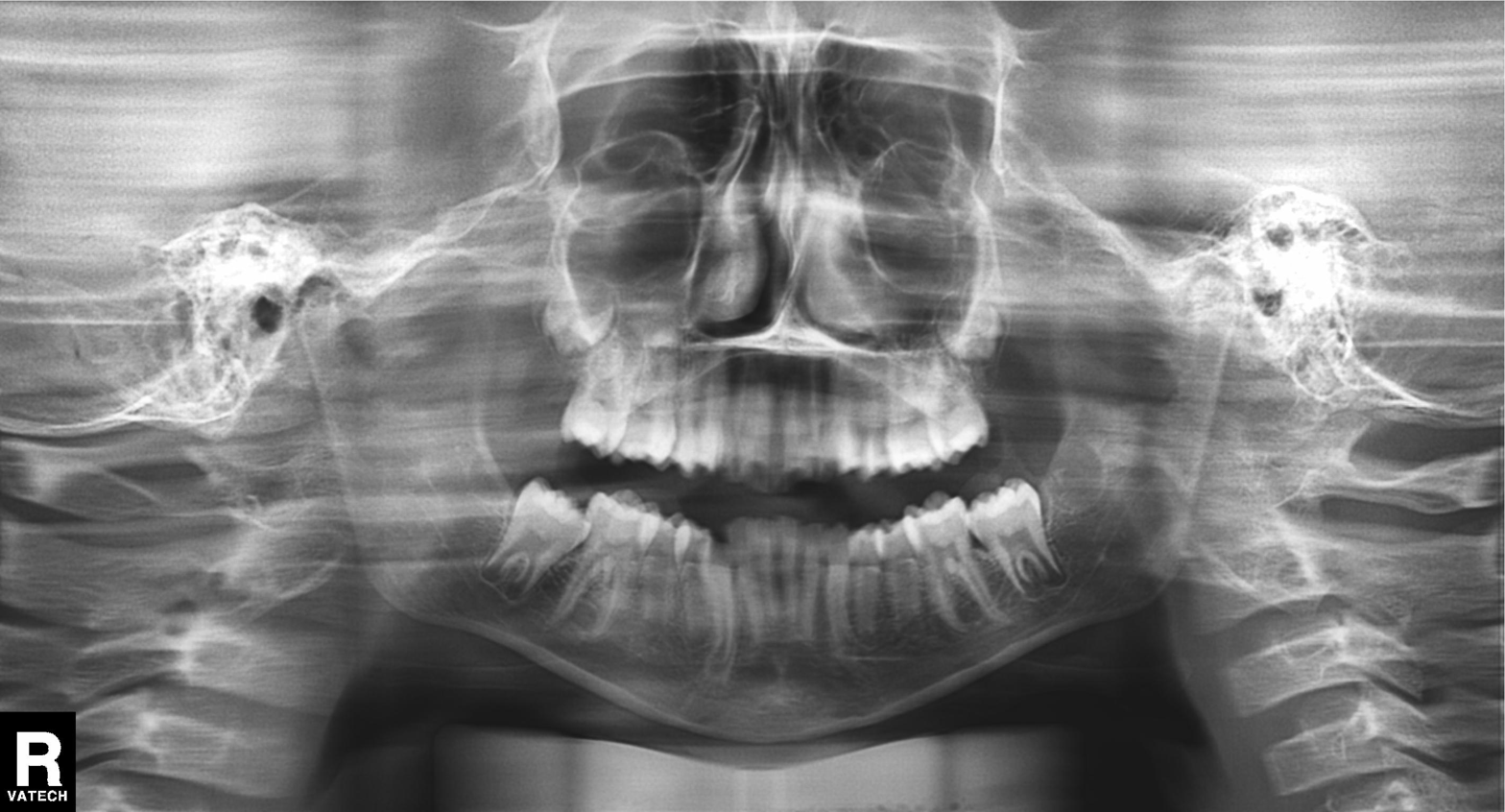
  modality: panoramic dental radiograph (orthopantomogram)
  finding: alveolar bone loss